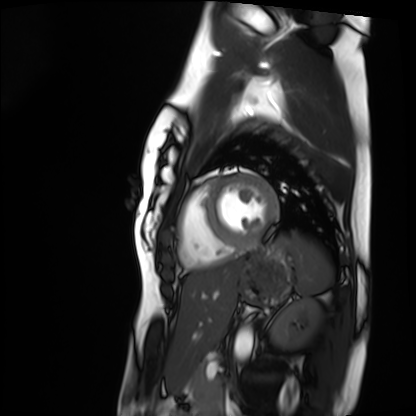
Summary: Cardiac MRI. Subject group: healthy volunteer.